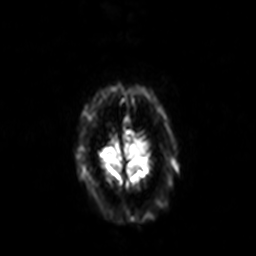
modality — 3 Tesla brain MRI; series — diffusion-weighted imaging with SENSE (WIP); study — ring-enhancing brain masses.